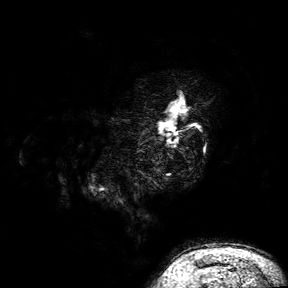
modality = 3 Tesla brain MRI; series = 3D T1-weighted turbo field echo with SENSE; study = ring-enhancing brain masses.